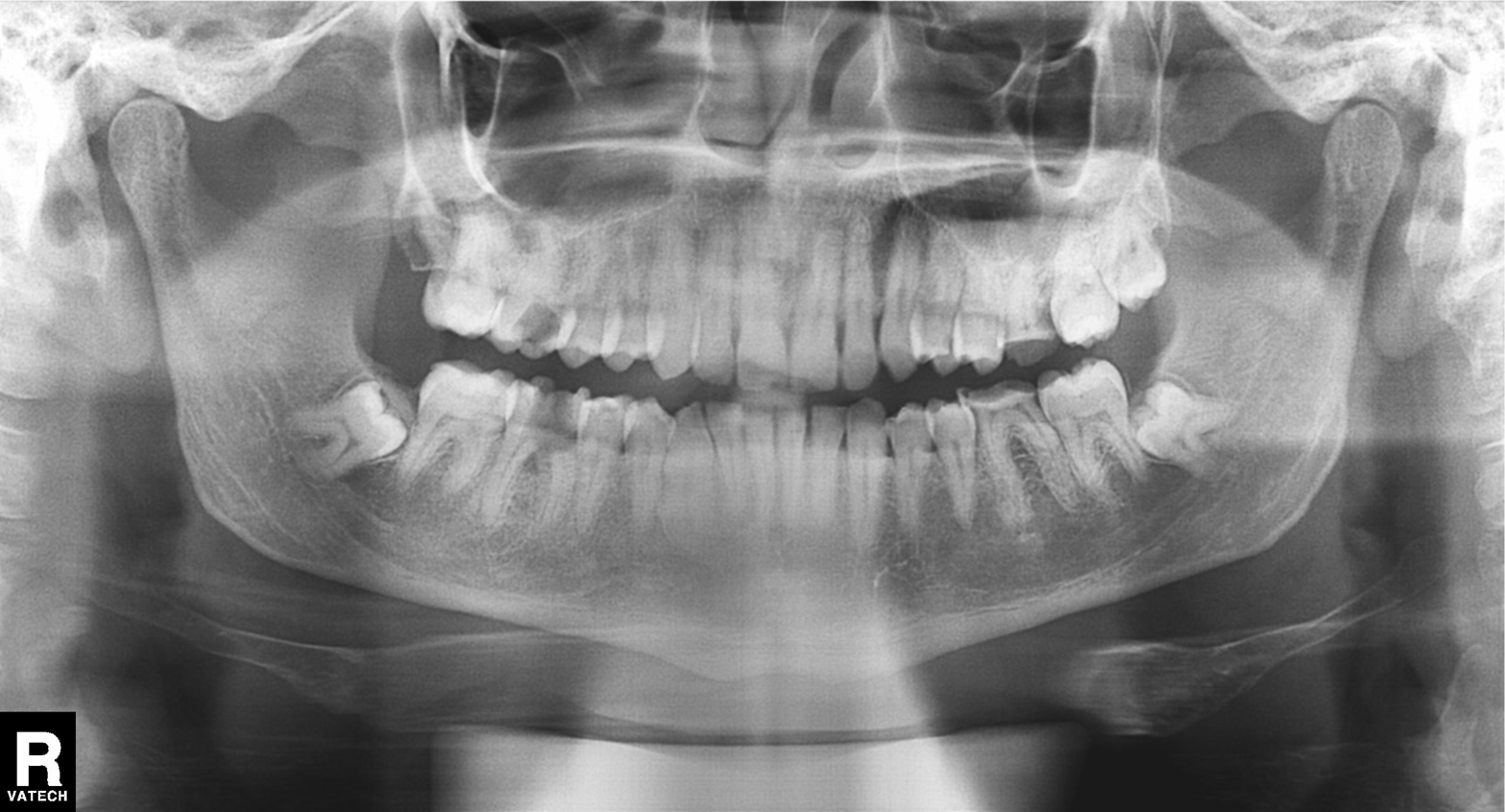
Panoramic dental radiograph (orthopantomogram). Finding: dental caries (cavities).